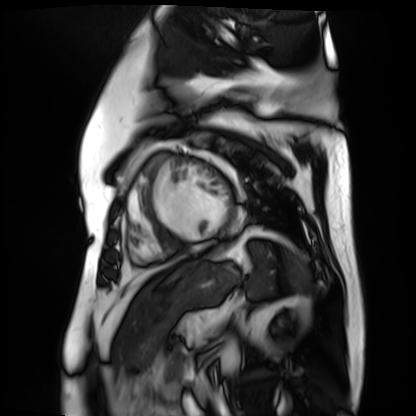
modality: cardiac MR image of the myocardium, subject cohort: cardiac patient.